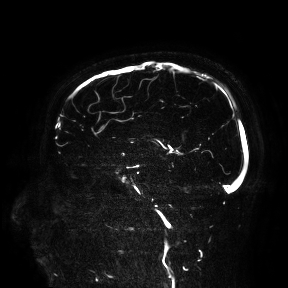
modality:
  type: brain MRI
  field_strength: 3T
study_topic: ring-enhancing brain masses